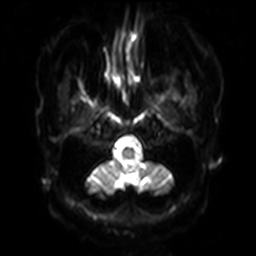
Q: What kind of scan is this?
A: 3 Tesla brain MRI.
Q: Series?
A: Diffusion-weighted imaging with SENSE (WIP).
Study: ring-enhancing brain masses.